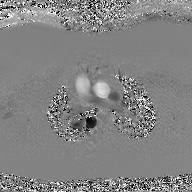
modality = 2D phase-contrast cine MRI of the ascending aorta, GAN super-resolution reconstruction.